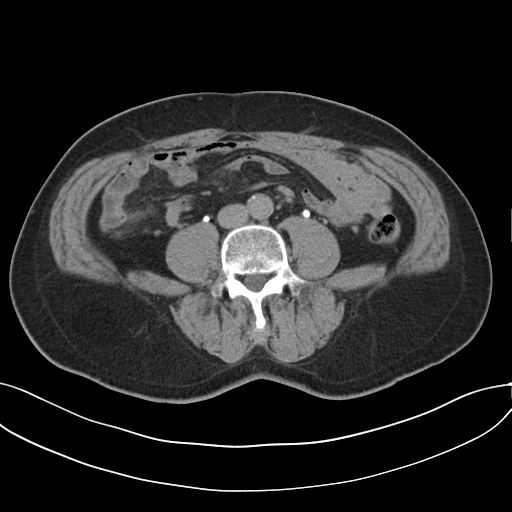
Multiphase abdominal CT, liver, delayed phase.
Patient: male, age 64.